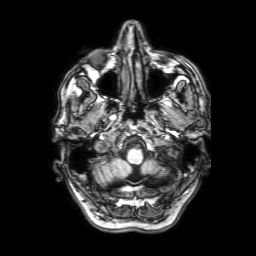
{
  "modality": {
    "type": "brain MRI",
    "field_strength": "3T"
  },
  "series": "3D T1-weighted with SENSE",
  "study_topic": "ring-enhancing brain masses"
}